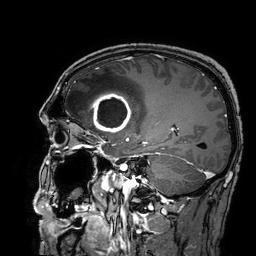
3 Tesla brain MRI.
Series: 3D T1-weighted turbo field echo with SENSE.
Study: ring-enhancing brain masses.